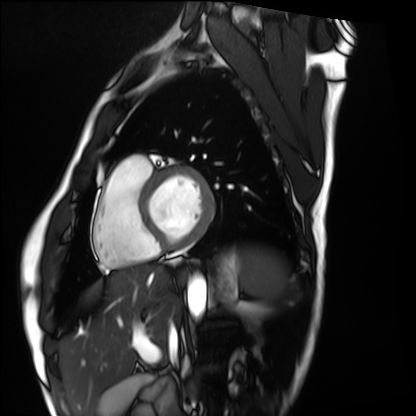
Clinical context: Cardiac MRI. Subject group: healthy volunteer.